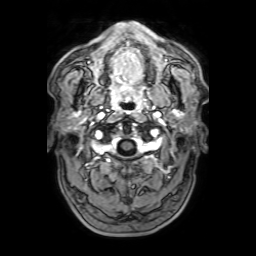
Summary:
3 Tesla brain MRI. Series: 3D T1-weighted with SENSE. Study: ring-enhancing brain masses.